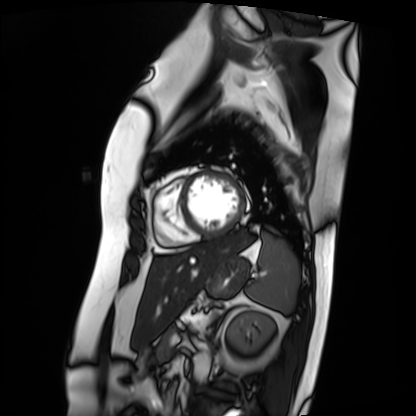
Case summary: Cardiac MRI. Subject group: patient.